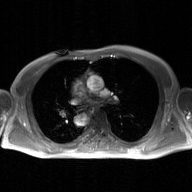
2D phase-contrast cine MRI of the ascending aorta, GAN super-resolution reconstruction.